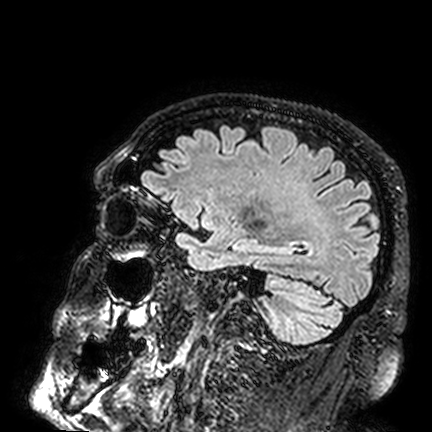
modality = 3 Tesla brain MRI
series = FLAIR VISTA
study = ring-enhancing brain masses